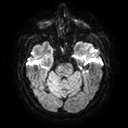
• modality · 3 Tesla brain MRI
• series · diffusion tensor imaging (medium iso)
• study · ring-enhancing brain masses